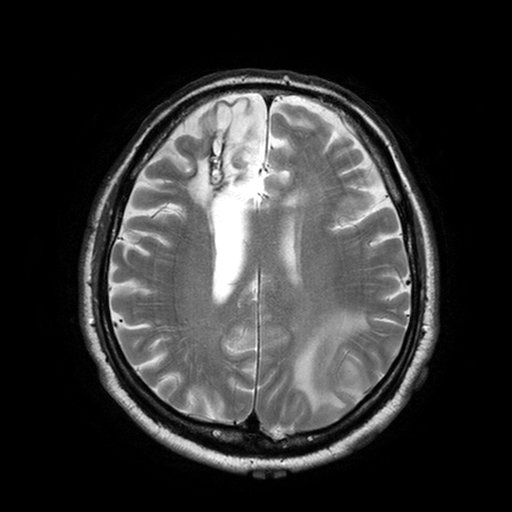
Summary:
3 Tesla brain MRI. Series: T2-weighted turbo spin echo with SENSE. Study: ring-enhancing brain masses.